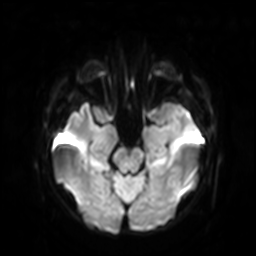
<scan>
<modality>
  <type>brain MRI</type>
  <field_strength>3T</field_strength>
</modality>
<series>diffusion-weighted imaging with SENSE (WIP)</series>
<study_topic>ring-enhancing brain masses</study_topic>
</scan>